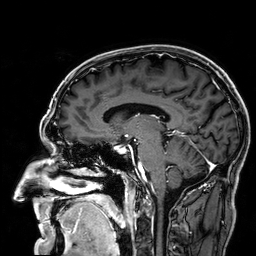
3 Tesla brain MRI. Series: 3D T1-weighted. Study: ring-enhancing brain masses.